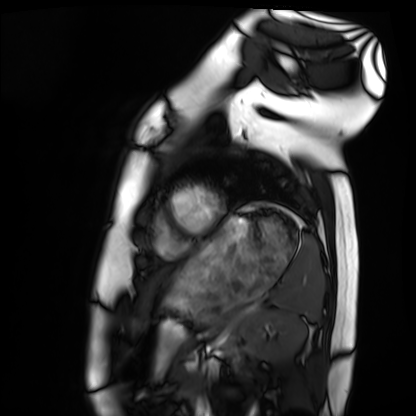
Cardiac MRI.
Subject group: healthy volunteer.